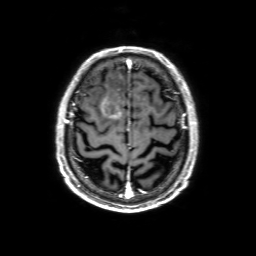
Q: What kind of scan is this?
A: 3 Tesla brain MRI.
Q: Series?
A: 3D T1-weighted with SENSE.
Study: ring-enhancing brain masses.